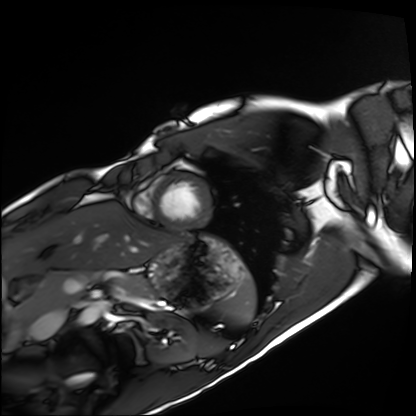
modality: cardiac MRI
cohort: healthy volunteer